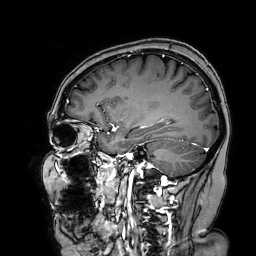
Case summary: 3 Tesla brain MRI. Series: 3D T1-weighted turbo field echo with SENSE. Study: ring-enhancing brain masses.